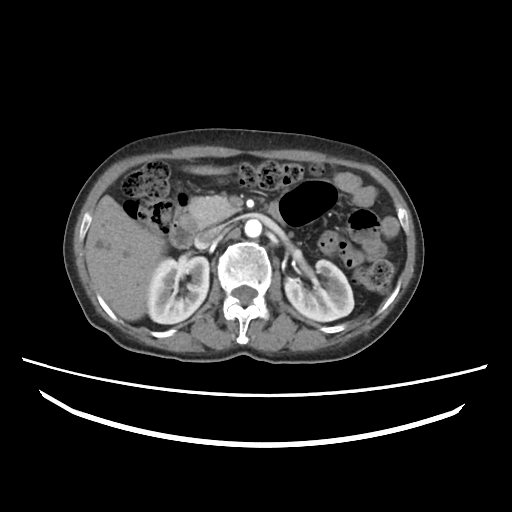
| field | value |
|---|---|
| modality | multiphase abdominal CT, liver, arterial phase |